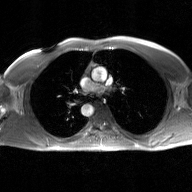
Q: What kind of scan is this?
A: 2D phase-contrast cine MRI of the ascending aorta, GAN super-resolution reconstruction.